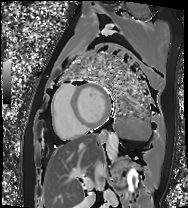
| field | value |
|---|---|
| modality | cardiac MRI |
| subject group | patient |